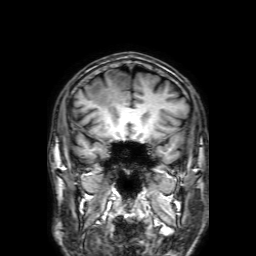
Case:
– modality — 3 Tesla brain MRI
– series — 3D T1-weighted with SENSE
– study — ring-enhancing brain masses